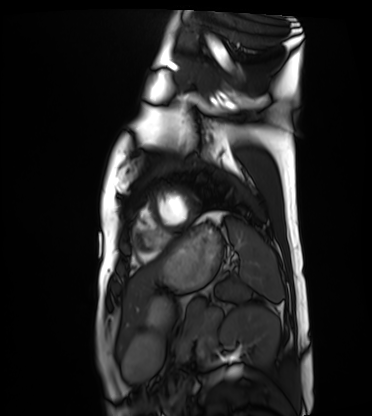
- modality — cardiac MRI
- subject group — healthy volunteer